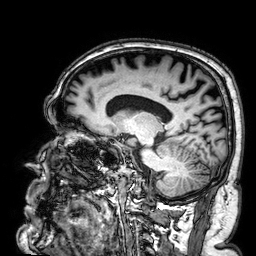
3 Tesla brain MRI.
Series: 3D T1-weighted.
Study: ring-enhancing brain masses.